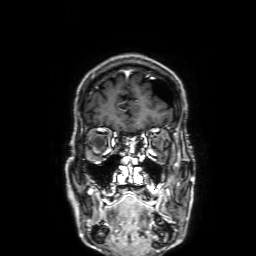
3 Tesla brain MRI. Series: 3D T1-weighted with SENSE. Study: ring-enhancing brain masses.